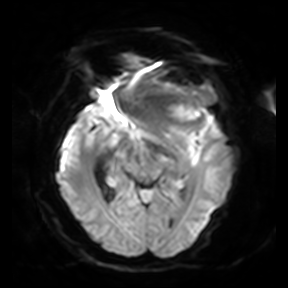
modality: 3 Tesla brain MRI
series: diffusion-weighted imaging
study: ring-enhancing brain masses